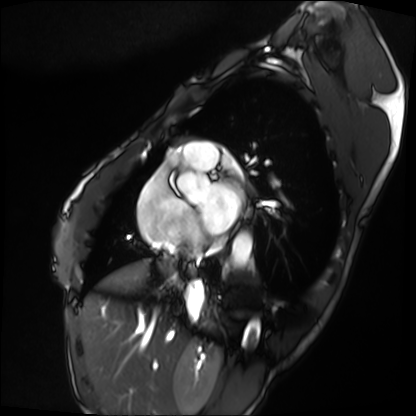
Cardiac MRI. Subject group: patient.